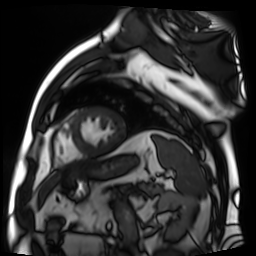
Cardiac MR image of the myocardium.
Subject cohort: cardiac patient.